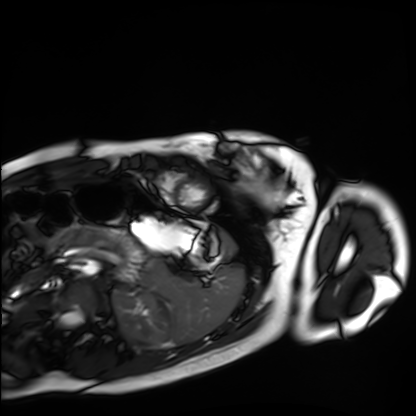
Cardiac MRI.
Subject group: healthy volunteer.